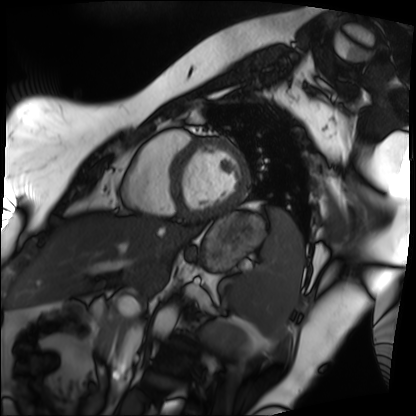
modality = cardiac MRI, subject group = patient.